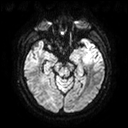
modality: 3 Tesla brain MRI; series: diffusion tensor imaging (medium iso); study: ring-enhancing brain masses.